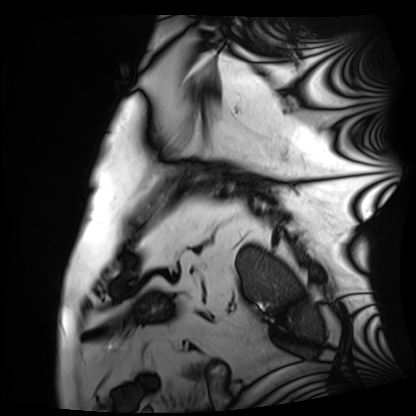
<scan>
  <modality>cardiac MRI</modality>
  <cohort>patient</cohort>
</scan>